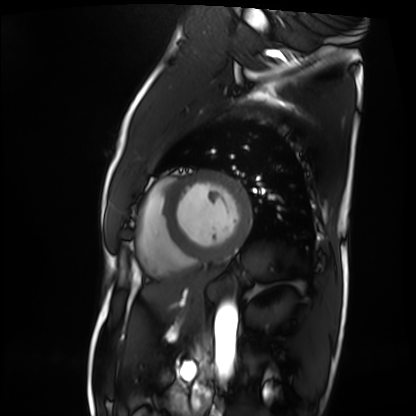
| field | value |
|---|---|
| modality | cardiac MRI |
| subject group | patient |